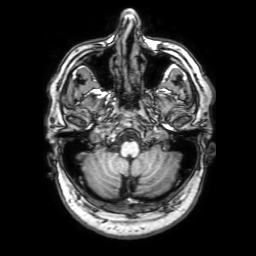
– modality: 3 Tesla brain MRI
– series: 3D T1-weighted with SENSE
– study: ring-enhancing brain masses